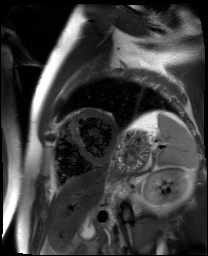
Case:
– modality: cardiac MR image of the myocardium
– subject cohort: cardiac patient